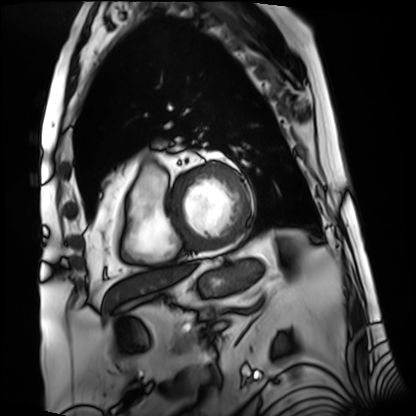
  modality: cardiac MRI
  cohort: patient